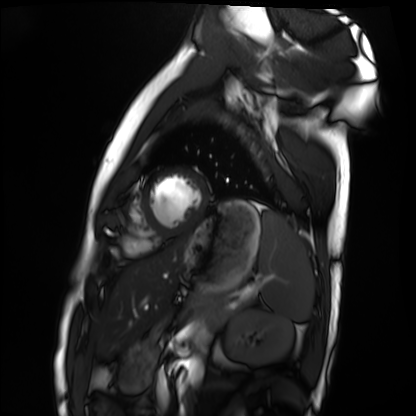
Summary:
Cardiac MRI. Subject group: healthy volunteer.